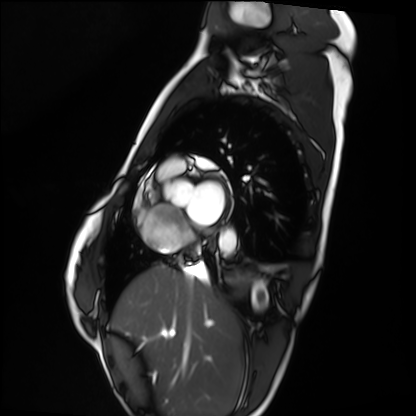
Cardiac MRI. Subject group: healthy volunteer.